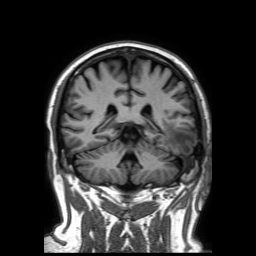
3 Tesla brain MRI. Series: 3D T1-weighted TFE with SENSE. Study: ring-enhancing brain masses.